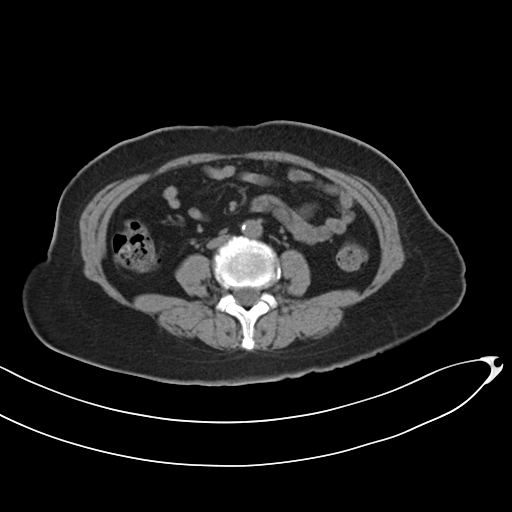
Case:
– modality · multiphase abdominal CT, liver, non-contrast phase
– patient · female, age 55
– history · prior chemotherapy